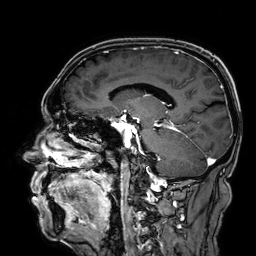
modality=3 Tesla brain MRI; series=3D T1-weighted; study=ring-enhancing brain masses.